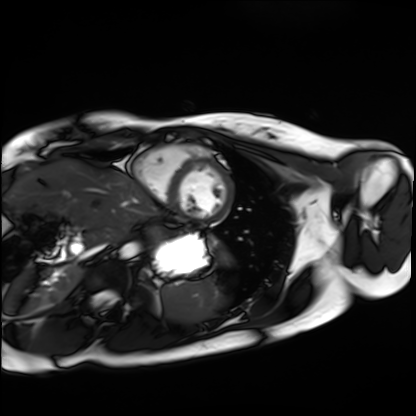
Summary:
Cardiac MRI. Subject group: healthy volunteer.